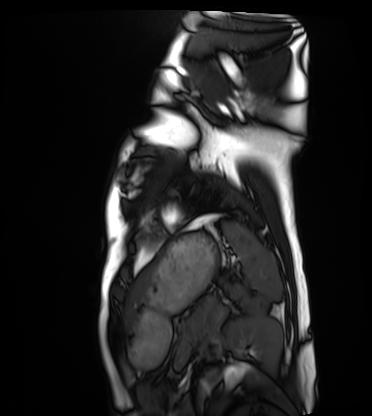
modality: cardiac MRI; subject group: healthy volunteer.